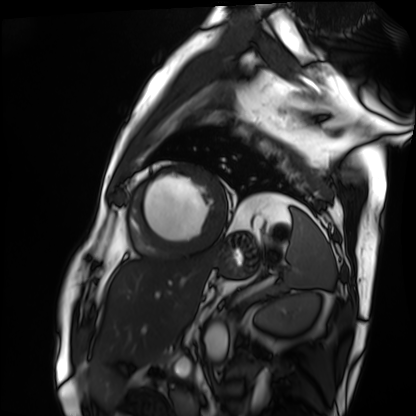
Q: What kind of scan is this?
A: Cardiac MRI.
Subject group: patient.